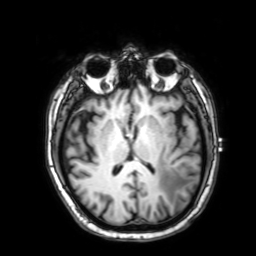
<study>
  <modality>
    <type>brain MRI</type>
    <field_strength>3T</field_strength>
  </modality>
  <series>3D T1-weighted with SENSE</series>
  <study_topic>ring-enhancing brain masses</study_topic>
</study>